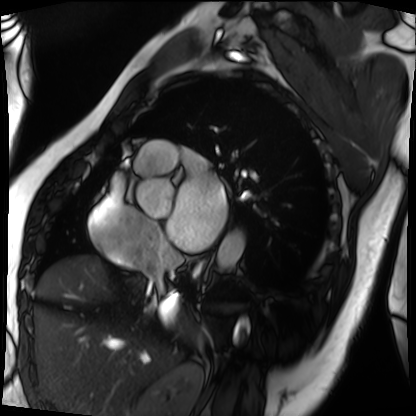
Case summary: Cardiac MRI. Subject group: patient.